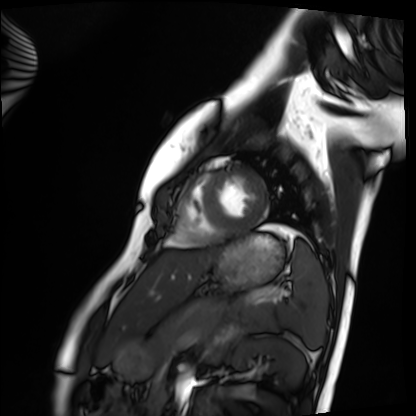
{
  "modality": "cardiac MRI",
  "cohort": "healthy volunteer"
}